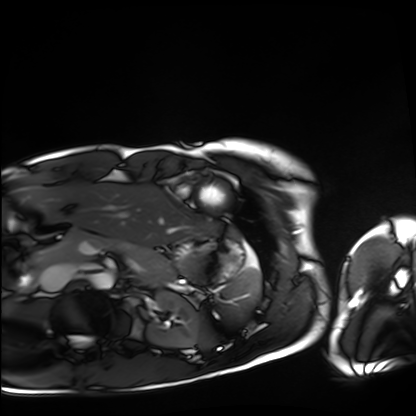
modality: cardiac MRI; subject group: healthy volunteer.